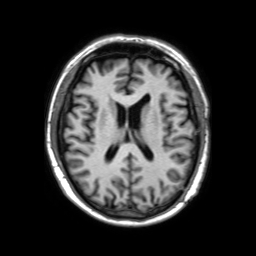
modality: 3 Tesla brain MRI; series: 3D T1-weighted TFE with SENSE; study: ring-enhancing brain masses.